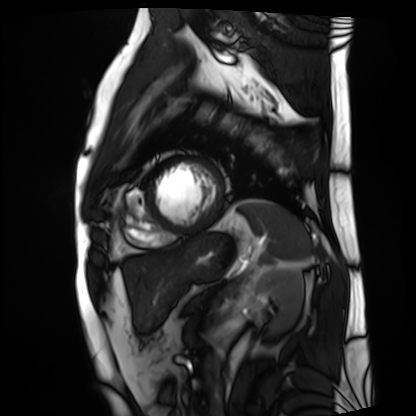
modality: cardiac MRI | subject group: patient.